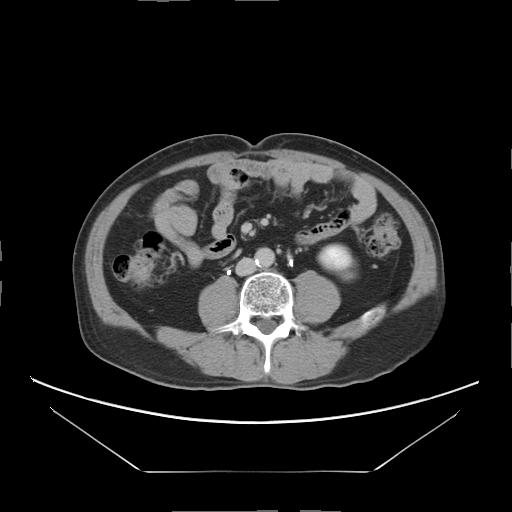
{"modality": {"type": "multiphase abdominal CT", "region": "liver", "phase": "delayed"}, "patient": {"sex": "male", "age": 69}, "history": ["viral hepatitis"]}